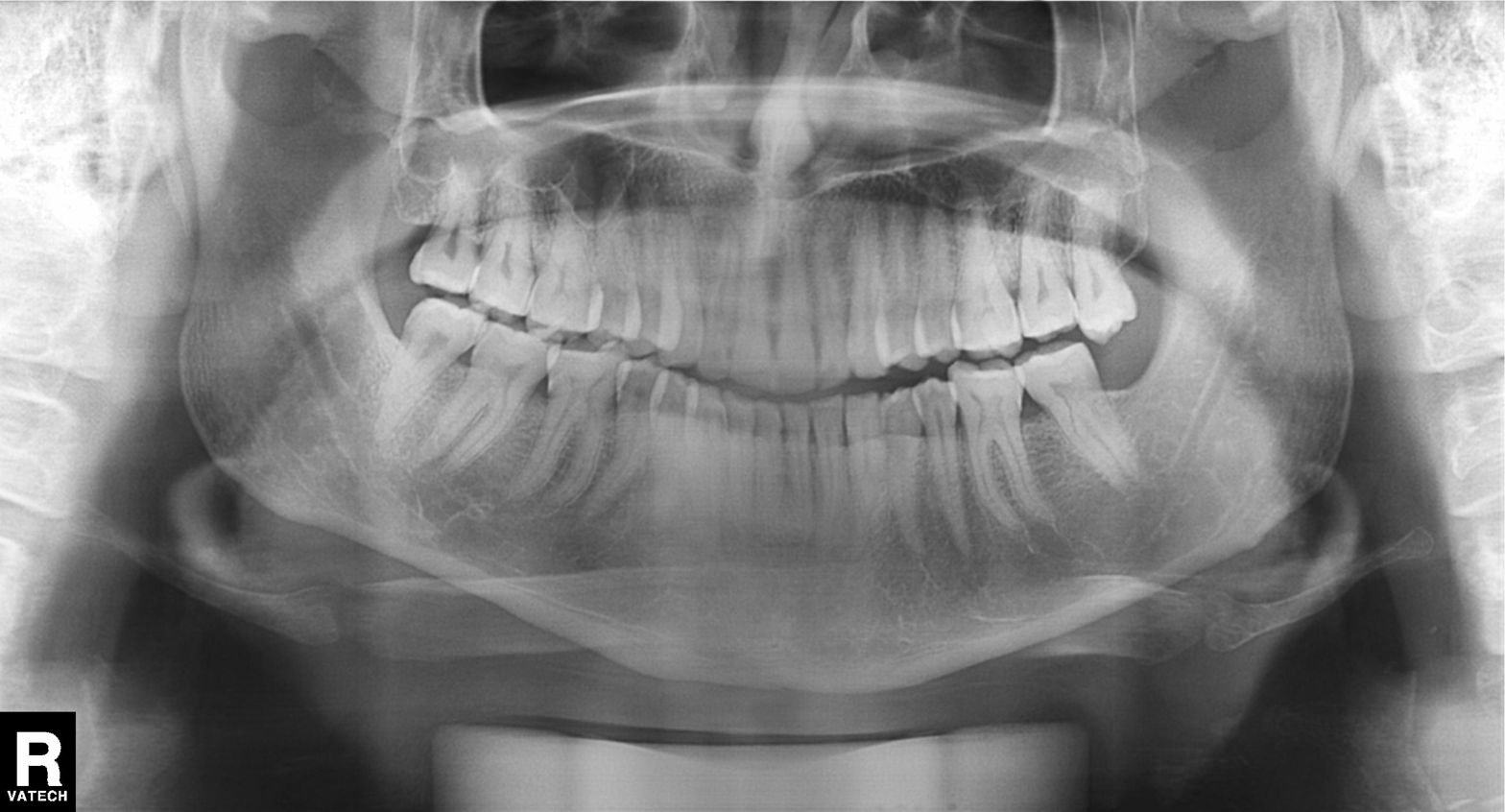
Panoramic dental radiograph (orthopantomogram). Finding: tooth impaction.